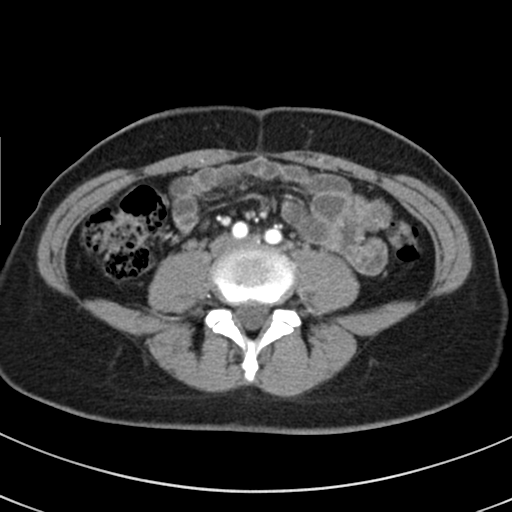
Q: What kind of scan is this?
A: Multiphase abdominal CT, liver, arterial phase.
Q: Patient?
A: Female, age 37.